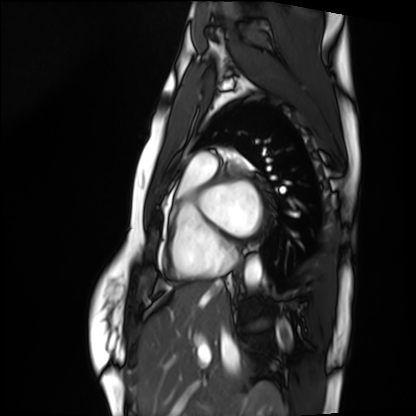
Case:
* modality: cardiac MRI
* subject group: healthy volunteer